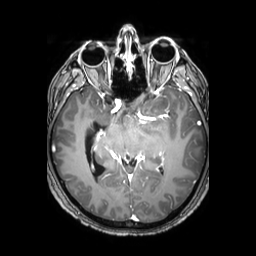
Summary: 3 Tesla brain MRI. Series: 3D T1-weighted TFE with SENSE. Study: ring-enhancing brain masses.